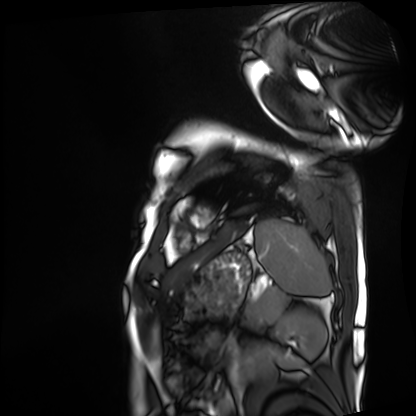
Q: What kind of scan is this?
A: Cardiac MRI.
Subject group: patient.